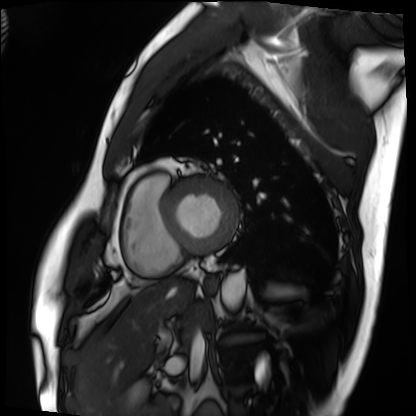
Case summary:
Cardiac MRI. Subject group: patient.